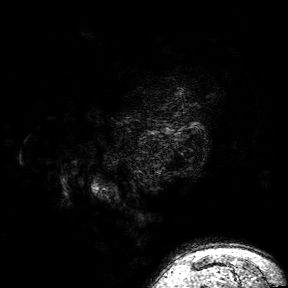
| field | value |
|---|---|
| modality | 3 Tesla brain MRI |
| series | 3D T1-weighted turbo field echo with SENSE |
| study | ring-enhancing brain masses |